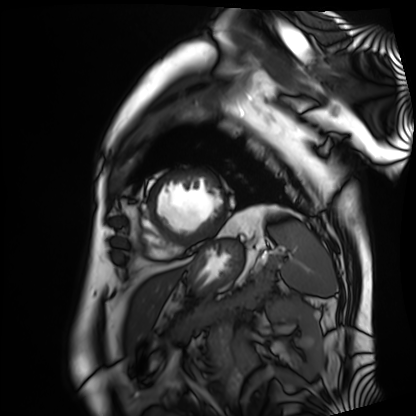
  modality: cardiac MRI
  cohort: patient